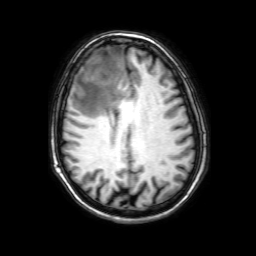
• modality · 3 Tesla brain MRI
• series · 3D T1-weighted with SENSE
• study · ring-enhancing brain masses